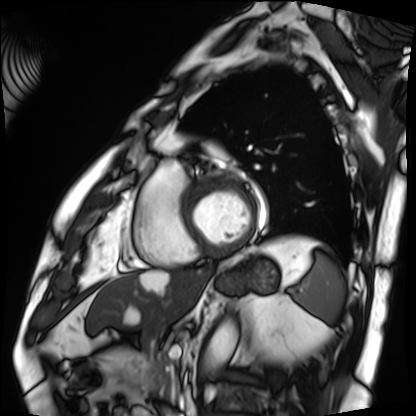
modality=cardiac MRI
subject group=patient